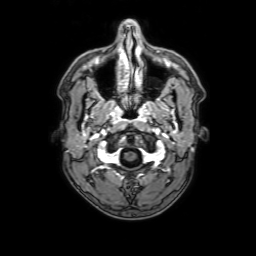
3 Tesla brain MRI. Series: 3D T1-weighted with SENSE. Study: ring-enhancing brain masses.